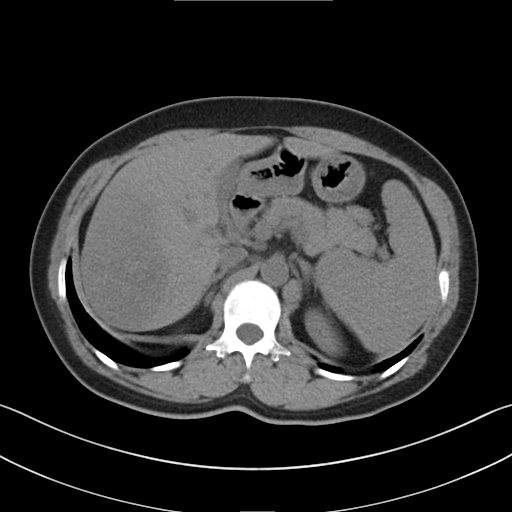
Multiphase abdominal CT, liver, non-contrast phase. Patient: female, age 48.